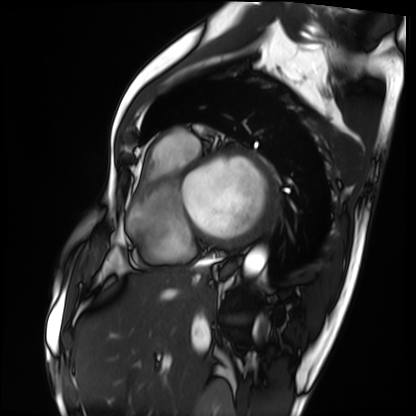
{
  "modality": "cardiac MRI",
  "cohort": "patient"
}